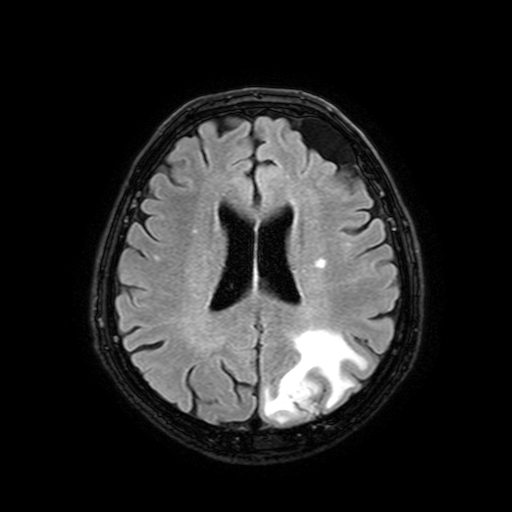
modality — 3 Tesla brain MRI | series — FLAIR with SPAIR, 3 mm | study — ring-enhancing brain masses.